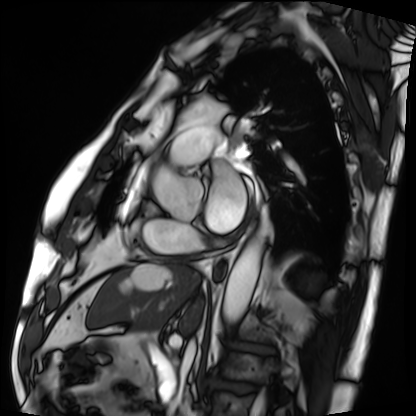
Cardiac MRI. Subject group: patient.